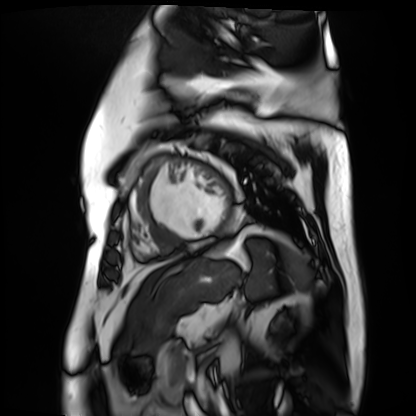
Cardiac MR image of the myocardium. Subject cohort: cardiac patient.